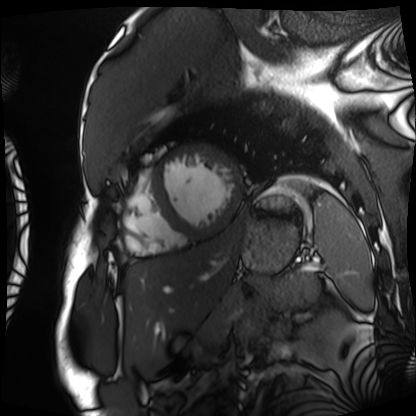
Cardiac MRI. Subject group: patient.